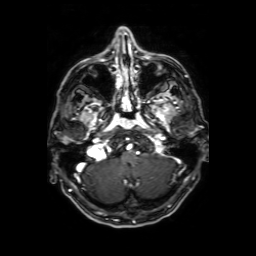
<case>
<modality>
  <type>brain MRI</type>
  <field_strength>3T</field_strength>
</modality>
<series>axial T1-weighted fusion image</series>
<study_topic>ring-enhancing brain masses</study_topic>
</case>